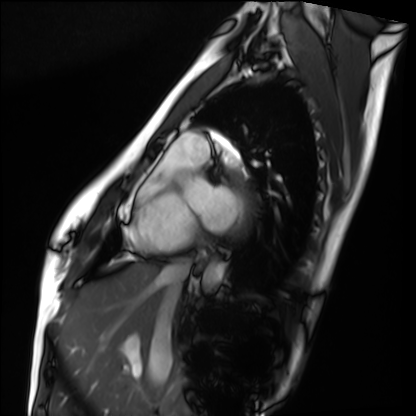
  modality: cardiac MRI
  cohort: healthy volunteer